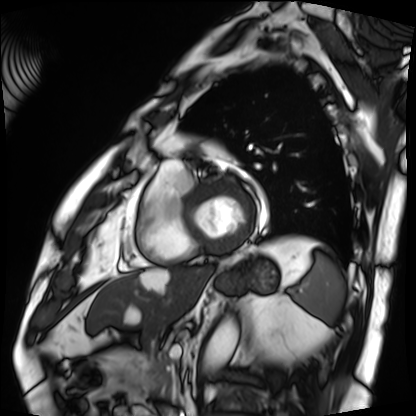
Cardiac MRI. Subject group: patient.